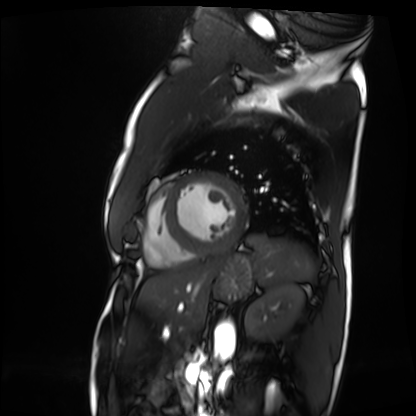
{
  "modality": "cardiac MRI",
  "cohort": "patient"
}